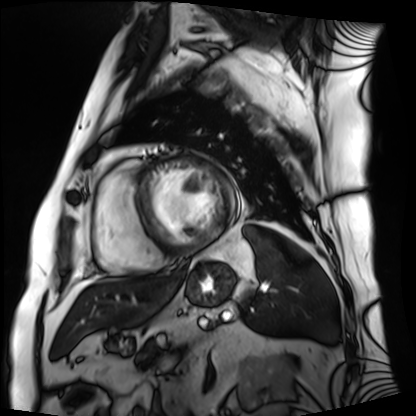
Cardiac MRI. Subject group: patient.